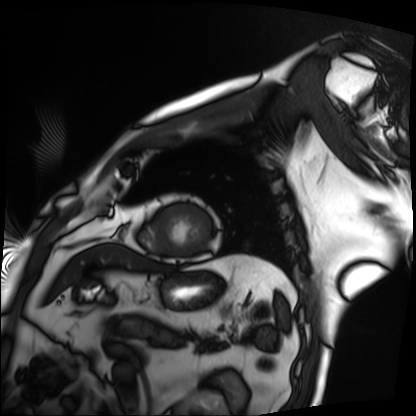
modality: cardiac MRI
subject group: patient